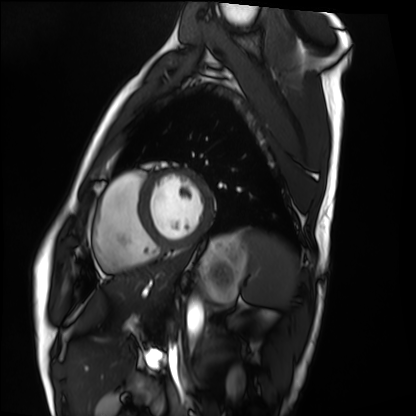
Case summary:
Cardiac MRI. Subject group: healthy volunteer.